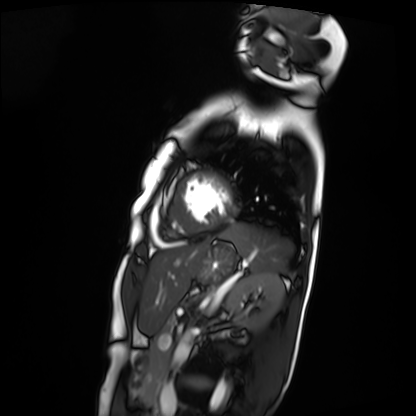
Cardiac MRI.
Subject group: patient.